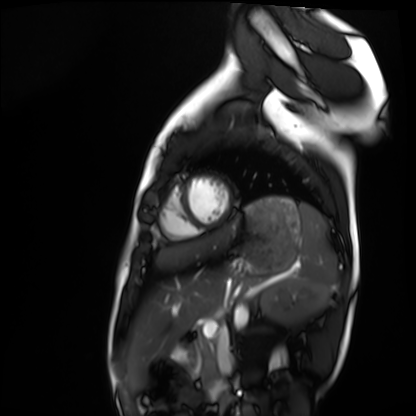
Q: What kind of scan is this?
A: Cardiac MRI.
Subject group: healthy volunteer.